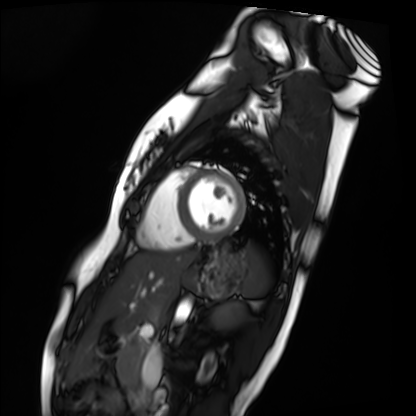
Summary:
Cardiac MRI. Subject group: healthy volunteer.